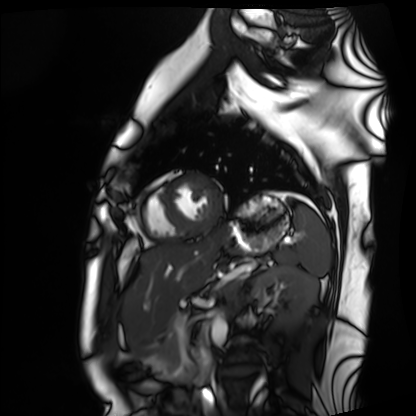
Summary:
Cardiac MRI. Subject group: healthy volunteer.